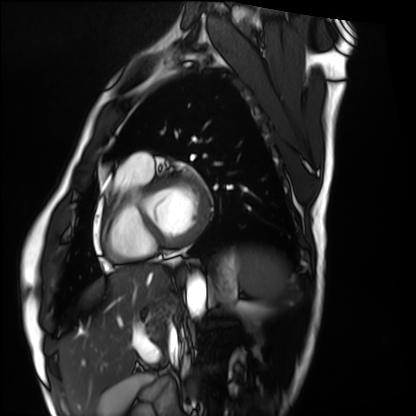
{
  "modality": "cardiac MRI",
  "cohort": "healthy volunteer"
}